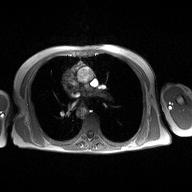
2D phase-contrast cine MRI of the ascending aorta, high-resolution GRAPPA acquisition.